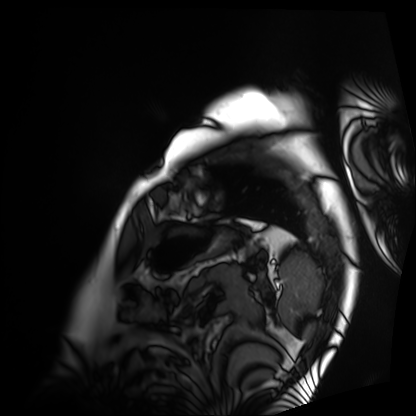
modality — cardiac MRI
subject group — patient